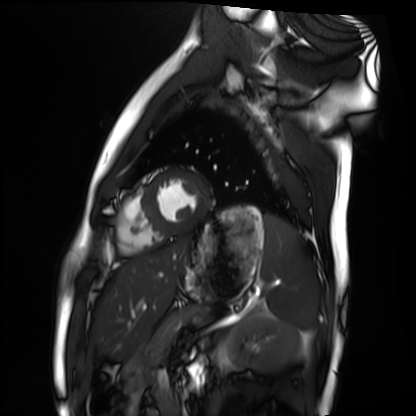
Cardiac MRI. Subject group: healthy volunteer.